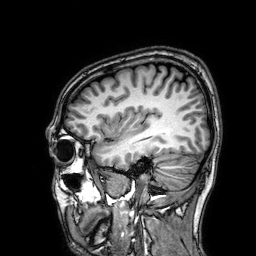
3 Tesla brain MRI.
Series: 3D T1-weighted.
Study: ring-enhancing brain masses.